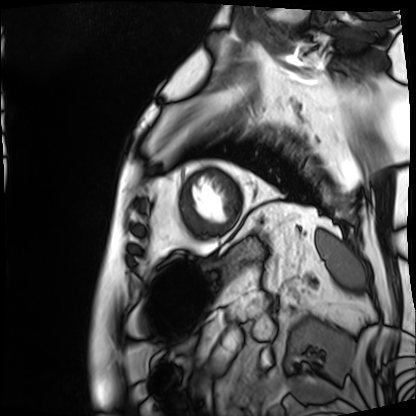
Summary: Cardiac MRI. Subject group: patient.